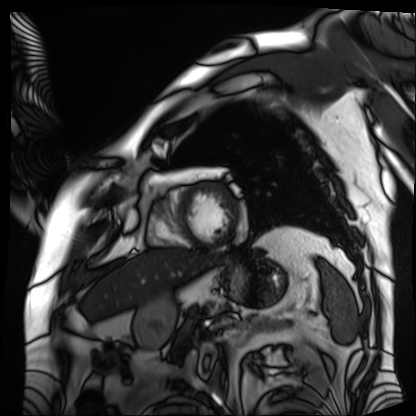
<scan>
<modality>cardiac MRI</modality>
<cohort>patient</cohort>
</scan>